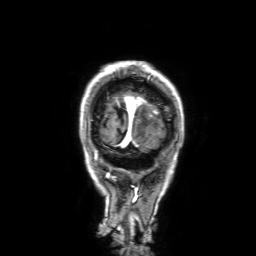
3 Tesla brain MRI. Series: 3D T1-weighted with SENSE. Study: ring-enhancing brain masses.